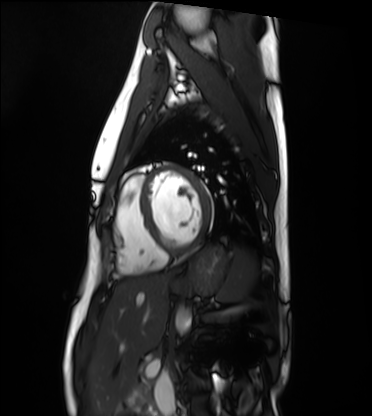
Cardiac MRI. Subject group: healthy volunteer.